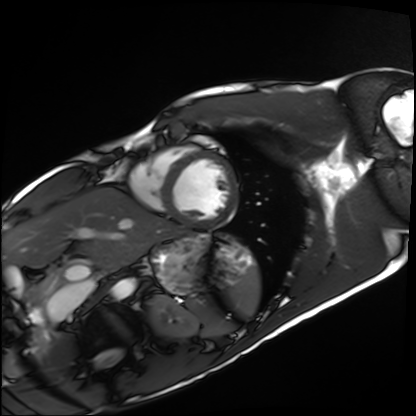
* modality — cardiac MRI
* subject group — healthy volunteer